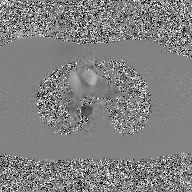
Clinical context:
2D phase-contrast cine MRI of the ascending aorta, GAN super-resolution reconstruction.